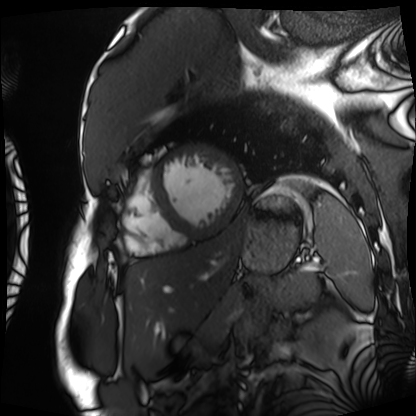
Case:
• modality: cardiac MRI
• subject group: patient